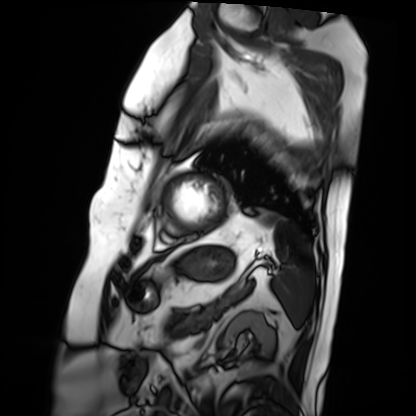
Q: What kind of scan is this?
A: Cardiac MRI.
Subject group: patient.